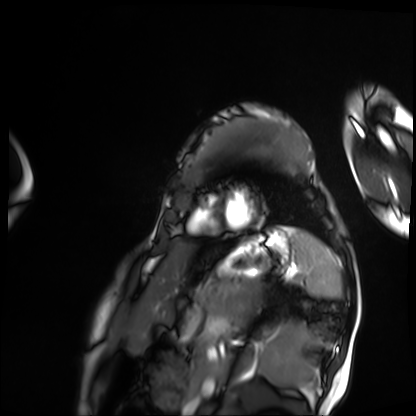
modality — cardiac MRI; subject group — patient.